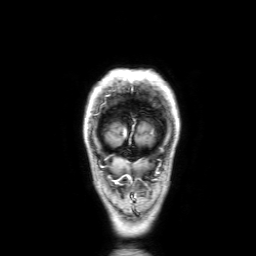
3 Tesla brain MRI.
Series: 3D T1-weighted with SENSE.
Study: ring-enhancing brain masses.